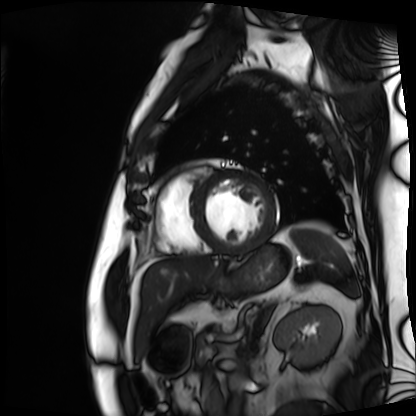
Cardiac MRI.
Subject group: patient.